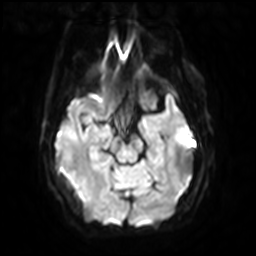
Q: What kind of scan is this?
A: 3 Tesla brain MRI.
Q: Series?
A: Diffusion-weighted imaging with SENSE (WIP).
Study: ring-enhancing brain masses.